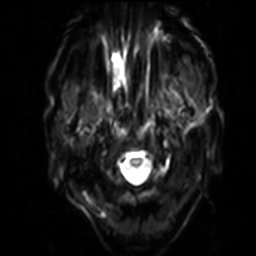
Summary:
3 Tesla brain MRI. Series: diffusion-weighted imaging with SENSE (WIP). Study: ring-enhancing brain masses.